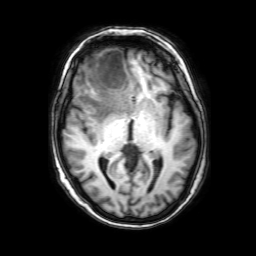
Q: What kind of scan is this?
A: 3 Tesla brain MRI.
Q: Series?
A: 3D T1-weighted with SENSE.
Study: ring-enhancing brain masses.